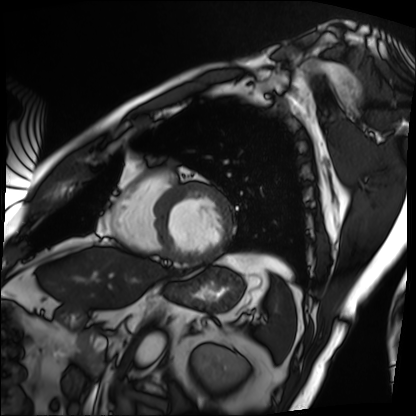
{"modality": "cardiac MRI", "cohort": "patient"}